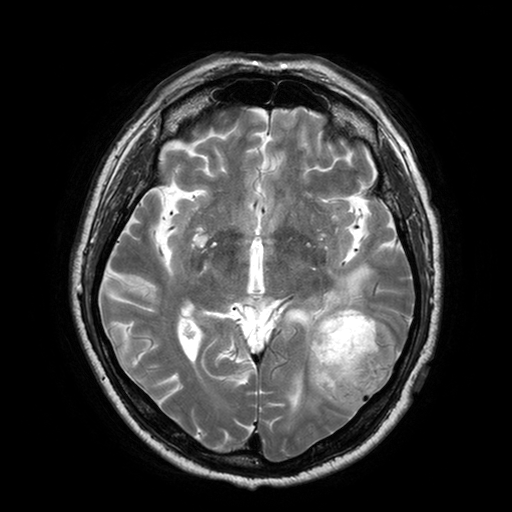
3 Tesla brain MRI. Series: T2-weighted turbo spin echo with SENSE. Study: ring-enhancing brain masses.